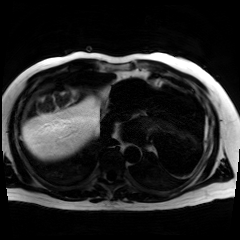
Case summary: Chemical-shift-encoded cardiac MRI.